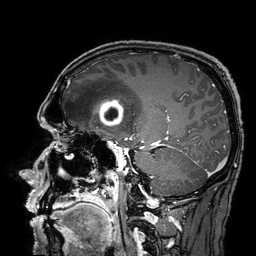
Q: What kind of scan is this?
A: 3 Tesla brain MRI.
Study: ring-enhancing brain masses.